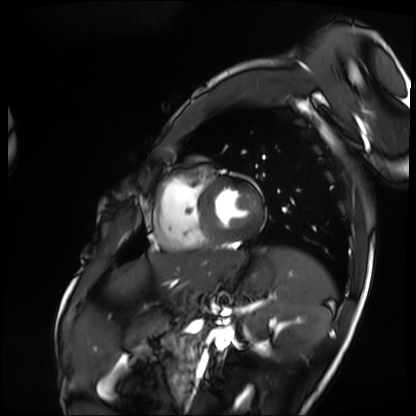
Cardiac MRI.
Subject group: patient.